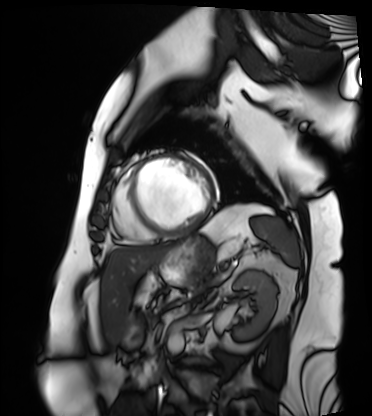
modality — cardiac MRI
subject group — patient